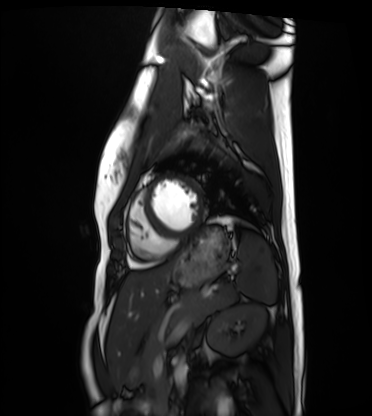
Cardiac MRI.
Subject group: healthy volunteer.